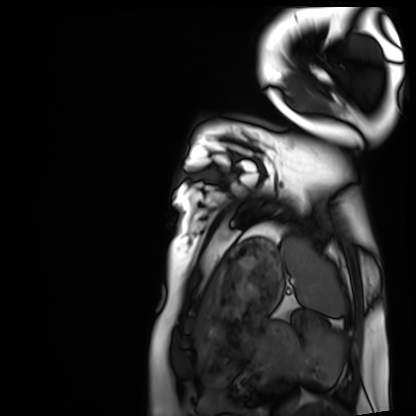
modality: cardiac MRI
cohort: healthy volunteer